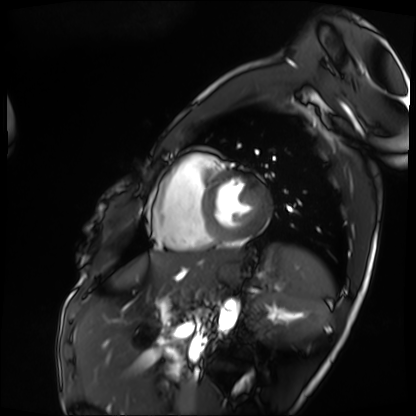
{
  "modality": "cardiac MRI",
  "cohort": "patient"
}